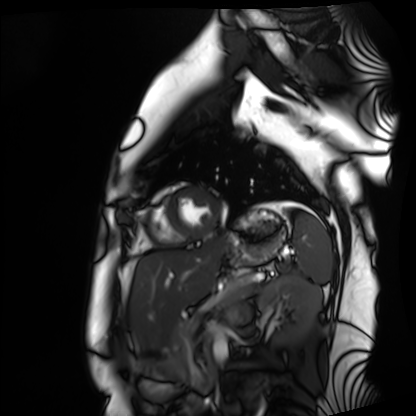
Clinical context:
Cardiac MRI. Subject group: healthy volunteer.